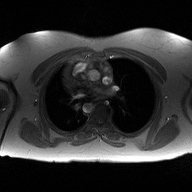
modality:
  type: 2D phase-contrast cine MRI
  region: ascending aorta
  reconstruction: high-resolution GRAPPA acquisition